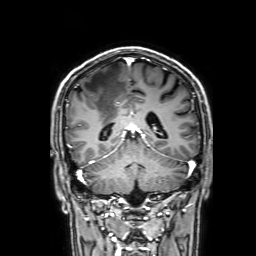
modality — 3 Tesla brain MRI | series — 3D T1-weighted with SENSE | study — ring-enhancing brain masses.